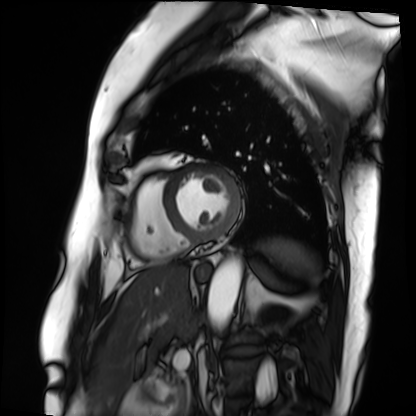
Q: What kind of scan is this?
A: Cardiac MRI.
Subject group: patient.